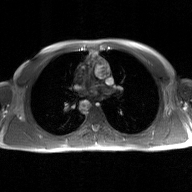
Q: What kind of scan is this?
A: 2D phase-contrast cine MRI of the ascending aorta, GAN super-resolution reconstruction.